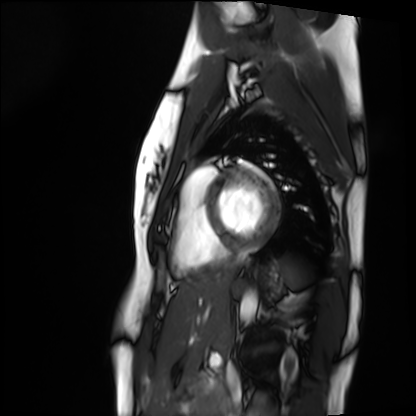
Cardiac MRI.
Subject group: healthy volunteer.